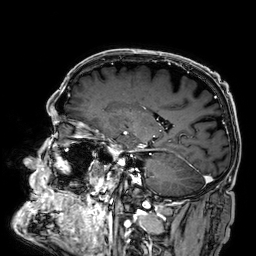
Q: What kind of scan is this?
A: 3 Tesla brain MRI.
Q: Series?
A: 3D T1-weighted.
Study: ring-enhancing brain masses.